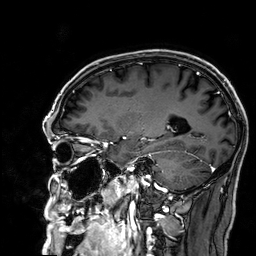
3 Tesla brain MRI. Series: 3D T1-weighted. Study: ring-enhancing brain masses.